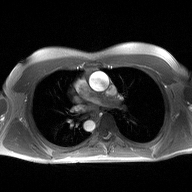
Q: What kind of scan is this?
A: 2D phase-contrast cine MRI of the ascending aorta.